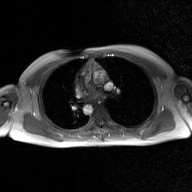
2D phase-contrast cine MRI of the ascending aorta, GAN super-resolution reconstruction.